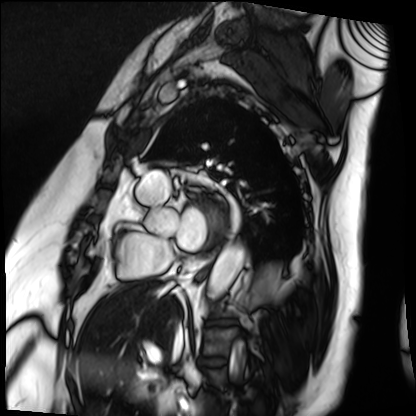
Q: What kind of scan is this?
A: Cardiac MRI.
Subject group: patient.